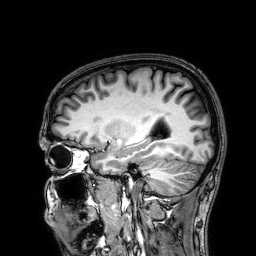
3 Tesla brain MRI. Series: 3D T1-weighted. Study: ring-enhancing brain masses.